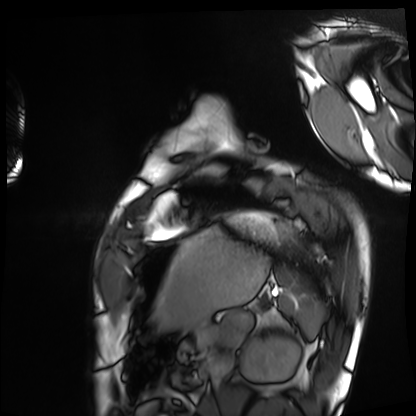
modality: cardiac MRI | subject group: healthy volunteer.